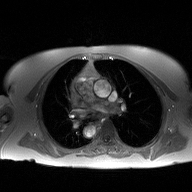
Case summary:
2D phase-contrast cine MRI of the ascending aorta, high-resolution GRAPPA acquisition.